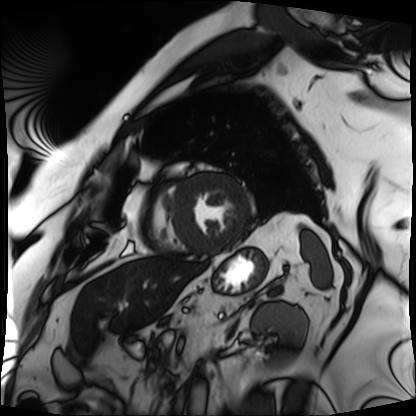
{
  "modality": "cardiac MRI",
  "cohort": "patient"
}